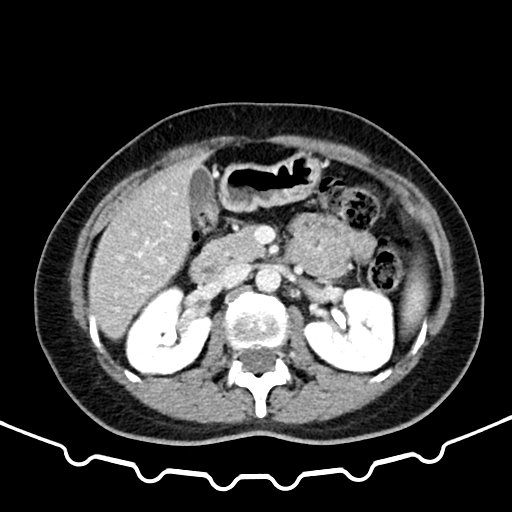
Summary: Multiphase abdominal CT, liver, delayed phase. Patient: female, age 43.